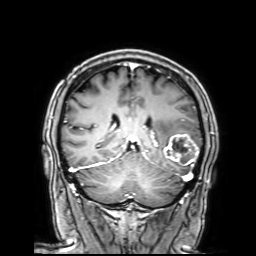
modality: 3 Tesla brain MRI | series: 3D T1-weighted with SENSE | study: ring-enhancing brain masses.